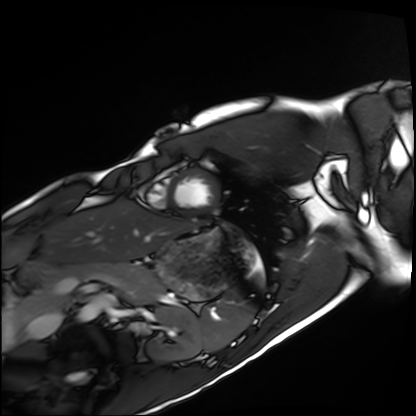
modality = cardiac MRI, subject group = healthy volunteer.